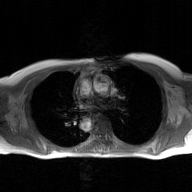
2D phase-contrast cine MRI of the ascending aorta, GAN super-resolution reconstruction.